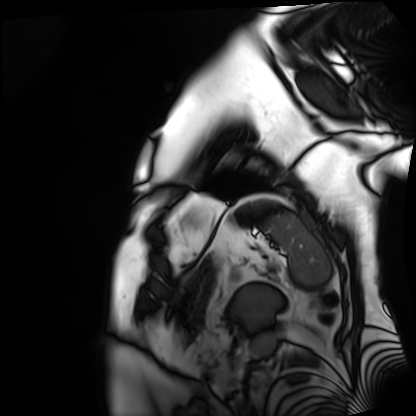
Clinical context: Cardiac MRI. Subject group: patient.